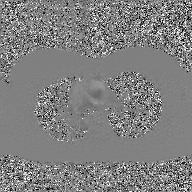
Case summary:
2D phase-contrast cine MRI of the ascending aorta, GAN super-resolution reconstruction.